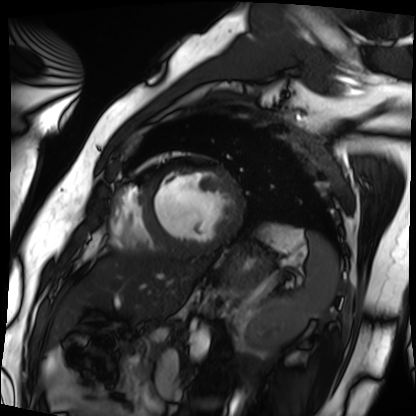
Cardiac MRI.
Subject group: patient.